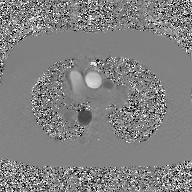
<case>
  <modality>
    <type>2D phase-contrast cine MRI</type>
    <region>ascending aorta</region>
    <reconstruction>GAN super-resolution reconstruction</reconstruction>
  </modality>
</case>